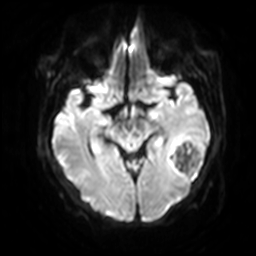
Q: What kind of scan is this?
A: 3 Tesla brain MRI.
Q: Series?
A: Diffusion-weighted imaging with SENSE (WIP).
Study: ring-enhancing brain masses.